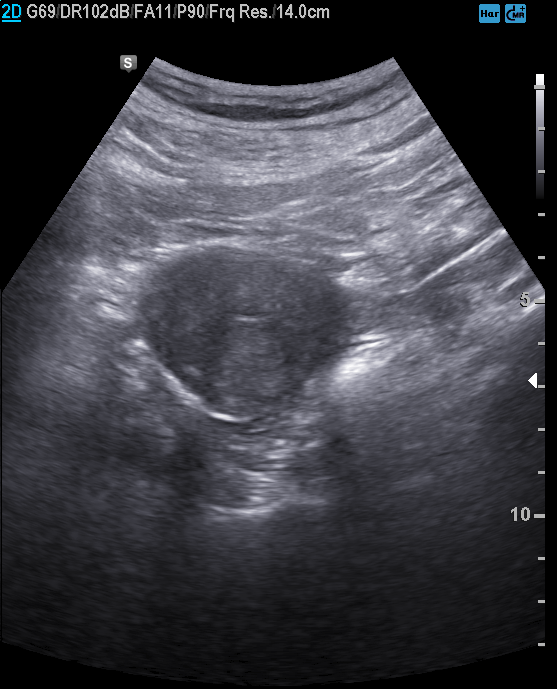
Clinical context: Genitourinary ultrasound.